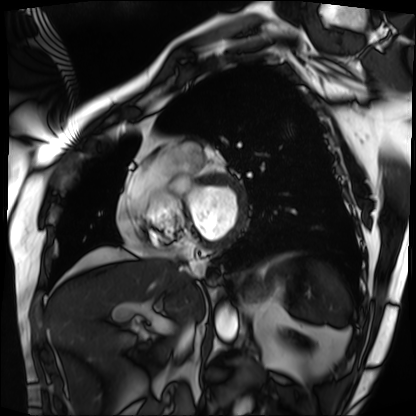
Summary:
Cardiac MRI. Subject group: patient.